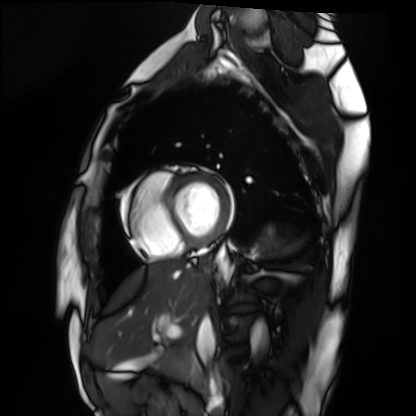
Cardiac MRI. Subject group: healthy volunteer.